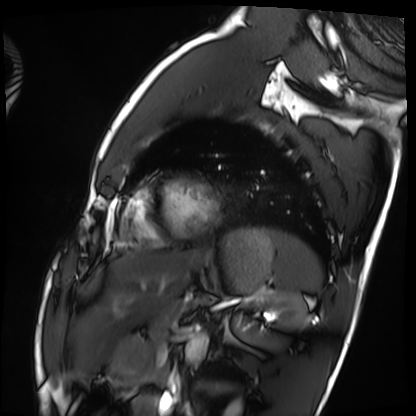
| field | value |
|---|---|
| modality | cardiac MRI |
| subject group | healthy volunteer |